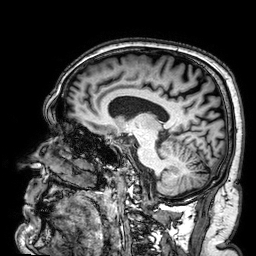
| field | value |
|---|---|
| modality | 3 Tesla brain MRI |
| series | 3D T1-weighted |
| study | ring-enhancing brain masses |